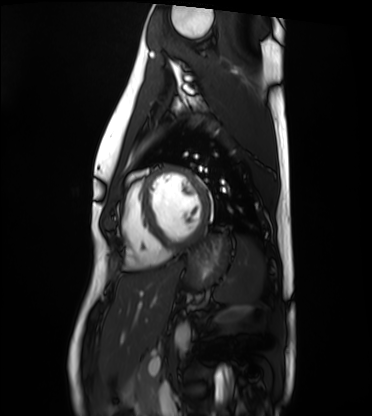
Case:
- modality — cardiac MRI
- subject group — healthy volunteer